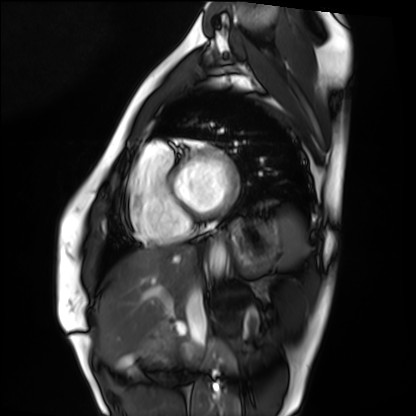
– modality — cardiac MRI
– subject group — healthy volunteer